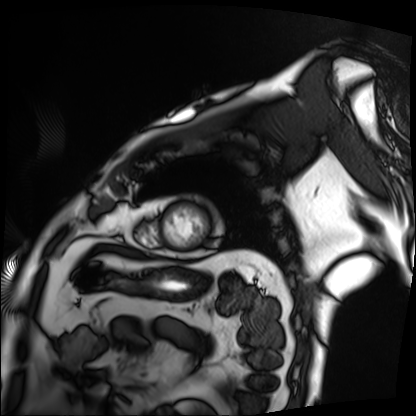
  modality: cardiac MRI
  cohort: patient